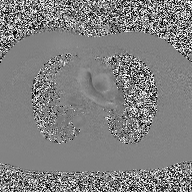
Case:
– modality: 2D phase-contrast cine MRI of the ascending aorta